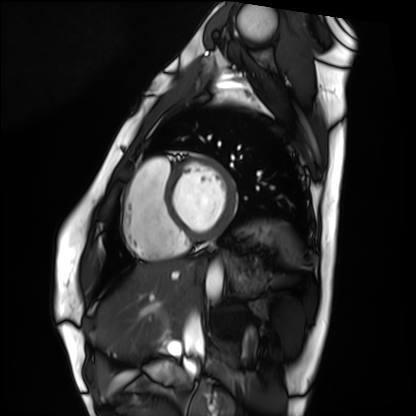
Summary: Cardiac MRI. Subject group: healthy volunteer.